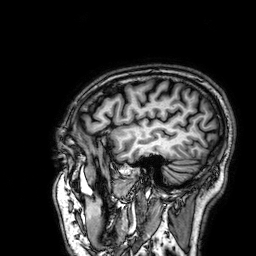
Summary:
3 Tesla brain MRI. Series: 3D T1-weighted. Study: ring-enhancing brain masses.